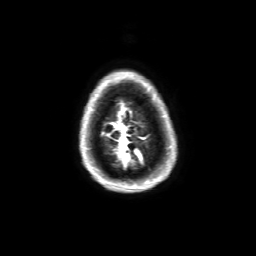
modality: 3 Tesla brain MRI
series: 3D T1-weighted with SENSE
study: ring-enhancing brain masses